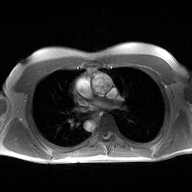
2D phase-contrast cine MRI of the ascending aorta, high-resolution GRAPPA acquisition.